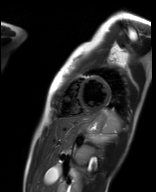
Summary:
Cardiac MR image of the myocardium. Subject cohort: healthy volunteer.